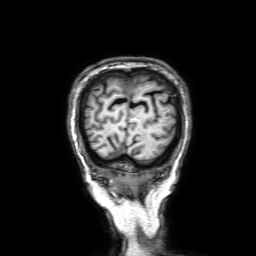
3 Tesla brain MRI. Series: 3D T1-weighted with SENSE. Study: ring-enhancing brain masses.